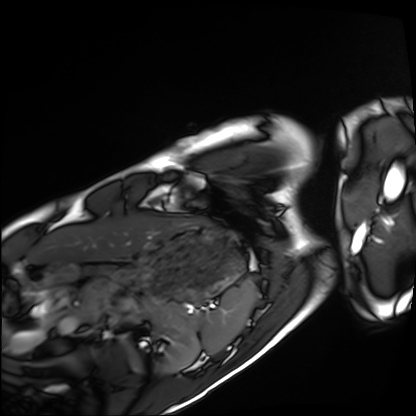
modality: cardiac MRI
subject group: healthy volunteer